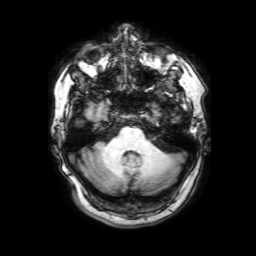
{
  "modality": {
    "type": "brain MRI",
    "field_strength": "3T"
  },
  "series": "3D T1-weighted with SENSE",
  "study_topic": "ring-enhancing brain masses"
}